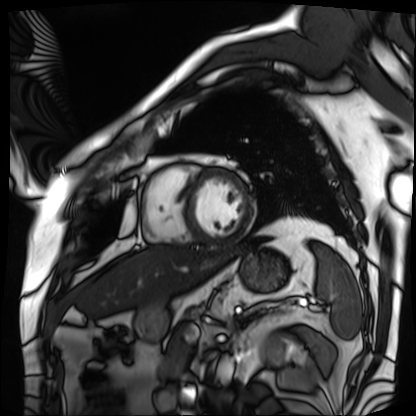
– modality · cardiac MRI
– subject group · patient